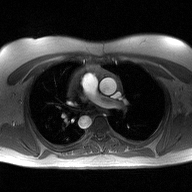
modality: 2D phase-contrast cine MRI of the ascending aorta.